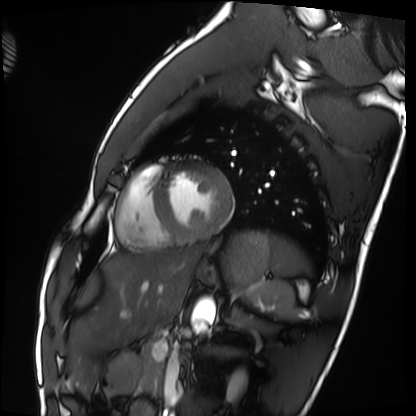
Cardiac MRI.
Subject group: healthy volunteer.